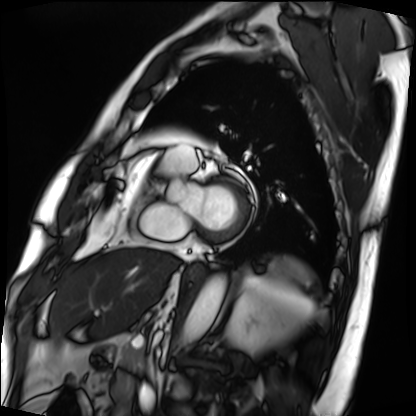
Cardiac MRI. Subject group: patient.